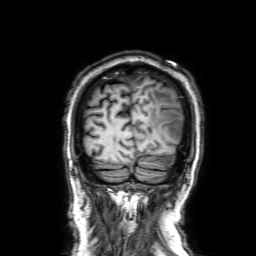
Clinical context: 3 Tesla brain MRI. Study: ring-enhancing brain masses.